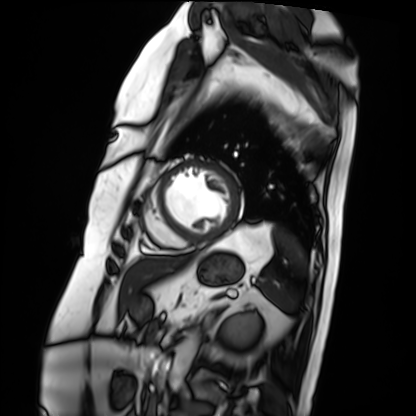
  modality: cardiac MRI
  cohort: patient